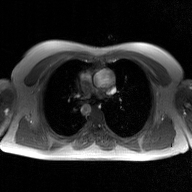
modality:
  type: 2D phase-contrast cine MRI
  region: ascending aorta
  reconstruction: GAN super-resolution reconstruction